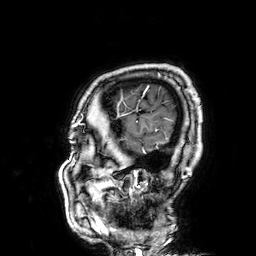
  modality:
    type: brain MRI
    field_strength: 3T
  series: 3D T1-weighted
  study_topic: ring-enhancing brain masses